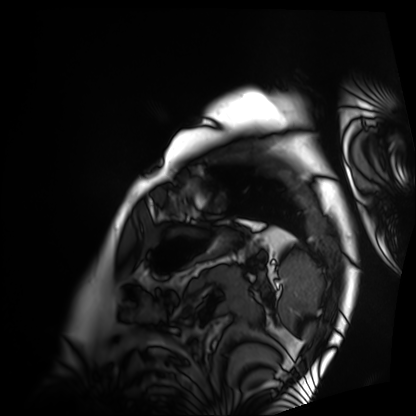
modality = cardiac MRI; subject group = patient.